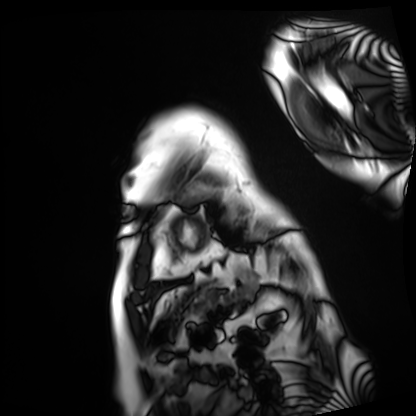
modality: cardiac MRI
subject group: patient